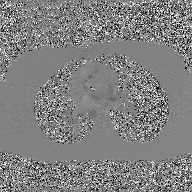
2D phase-contrast cine MRI of the ascending aorta, GAN super-resolution reconstruction.